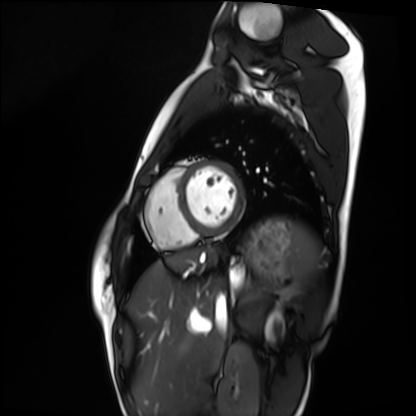
modality = cardiac MRI, subject group = healthy volunteer.